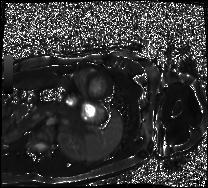
Cardiac MRI.
Subject group: healthy volunteer.